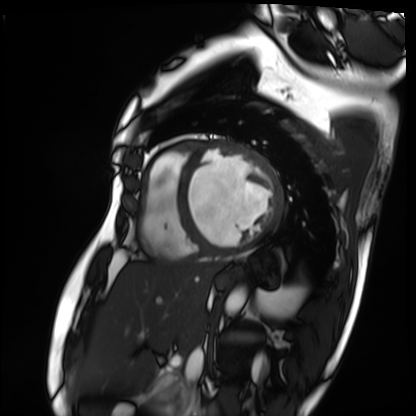
modality: cardiac MRI | subject group: patient.